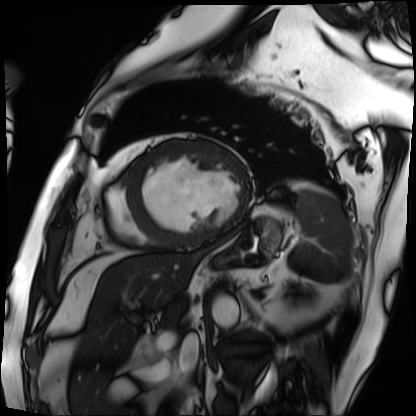
{"modality": "cardiac MRI", "cohort": "patient"}